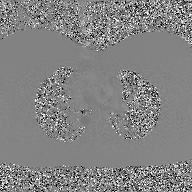
- modality: 2D phase-contrast cine MRI of the ascending aorta, GAN super-resolution reconstruction